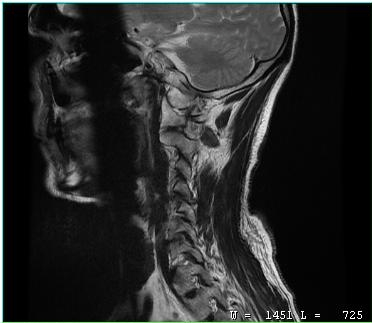
MRI of the cervical spine. Study: cervical spondylosis.